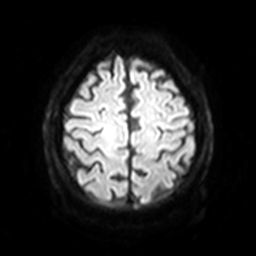
modality: 3 Tesla brain MRI; series: diffusion-weighted imaging with SENSE (WIP); study: ring-enhancing brain masses.